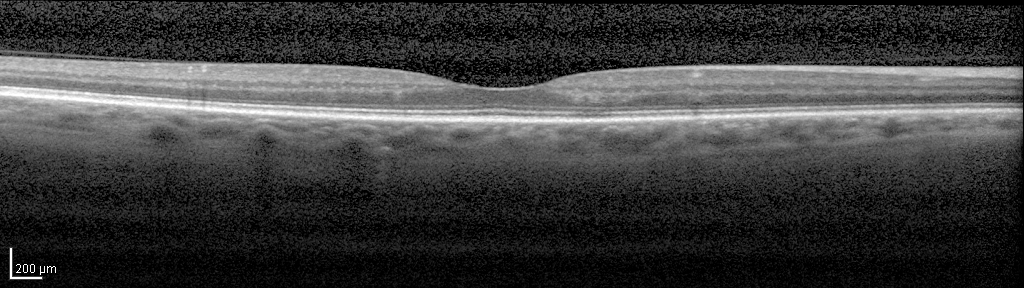
Spectral-domain optical coherence tomography (SD-OCT) of the macula.
Subject: female, age 60, right eye.
Cohort: non-diabetic control.
ETDRS-grid retinal thickness (μm): central 262, inner temporal 317, inner nasal 326, inner superior 323, inner inferior 325, outer temporal 268, outer nasal 290, outer superior 287, outer inferior 281.